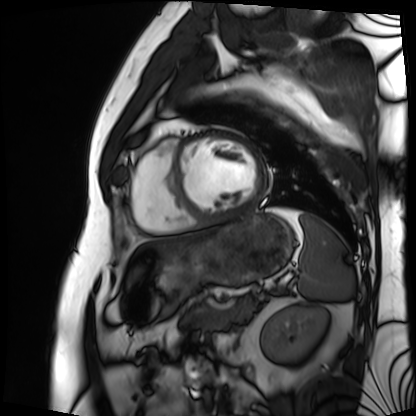
Cardiac MRI.
Subject group: patient.